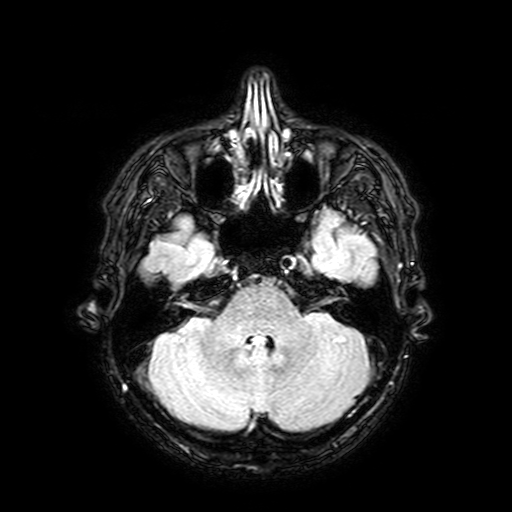
- modality · 3 Tesla brain MRI
- series · FLAIR with SPAIR, 3 mm
- study · ring-enhancing brain masses